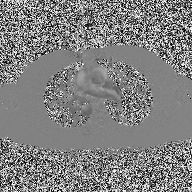
2D phase-contrast cine MRI of the ascending aorta, high-resolution GRAPPA acquisition.